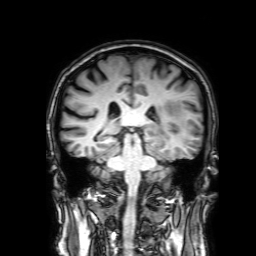
3 Tesla brain MRI.
Series: 3D T1-weighted with SENSE.
Study: ring-enhancing brain masses.